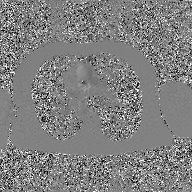
Summary: 2D phase-contrast cine MRI of the ascending aorta, GAN super-resolution reconstruction.